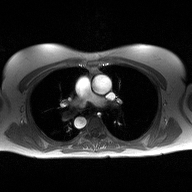
| field | value |
|---|---|
| modality | 2D phase-contrast cine MRI of the ascending aorta |